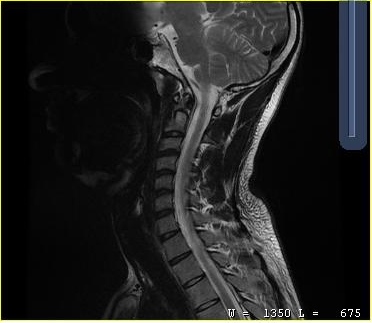
modality=MRI of the cervical spine
study=cervical spondylosis